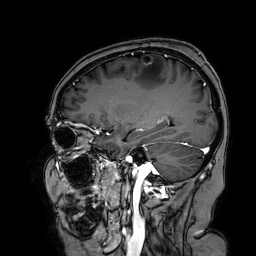
Q: What kind of scan is this?
A: 3 Tesla brain MRI.
Q: Series?
A: 3D T1-weighted turbo field echo with SENSE.
Study: ring-enhancing brain masses.